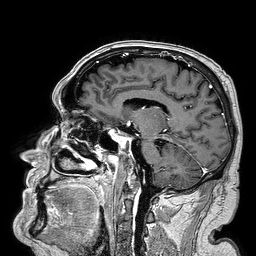
Case:
- modality · 3 Tesla brain MRI
- series · 3D T1-weighted turbo field echo
- study · ring-enhancing brain masses